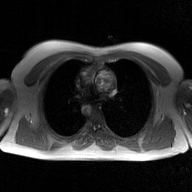
2D phase-contrast cine MRI of the ascending aorta, GAN super-resolution reconstruction.